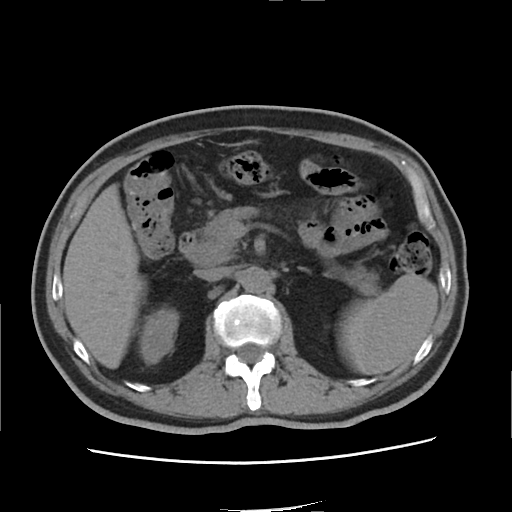
modality:
  type: multiphase abdominal CT
  region: liver
  phase: non-contrast
patient:
  sex: male
  age: 65